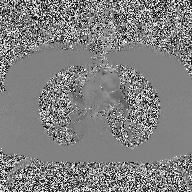
modality: 2D phase-contrast cine MRI of the ascending aorta.